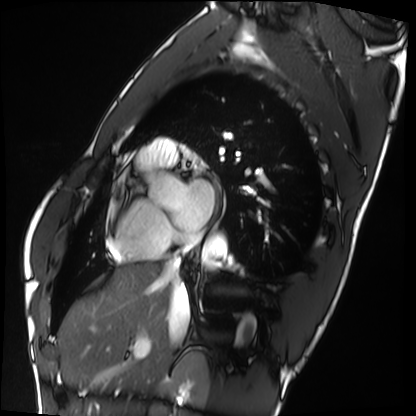
Case:
- modality: cardiac MRI
- subject group: healthy volunteer